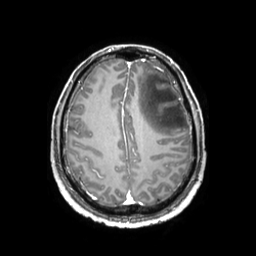
<study>
  <modality>
    <type>brain MRI</type>
    <field_strength>3T</field_strength>
  </modality>
  <series>3D T1-weighted TFE with SENSE</series>
  <study_topic>ring-enhancing brain masses</study_topic>
</study>